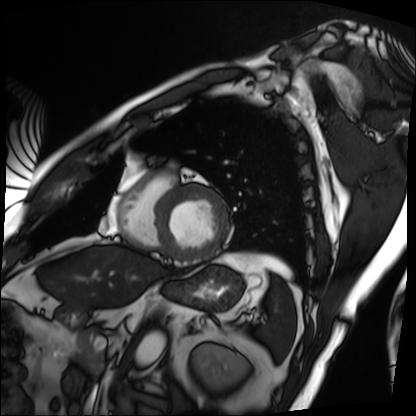
Summary: Cardiac MRI. Subject group: patient.